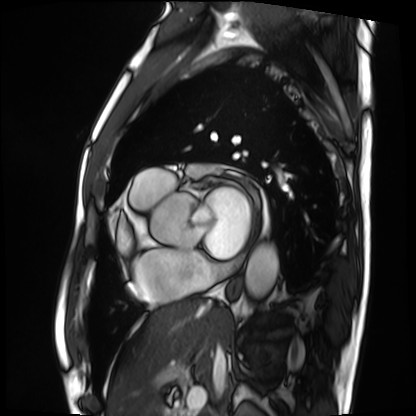
Case:
• modality · cardiac MRI
• subject group · patient